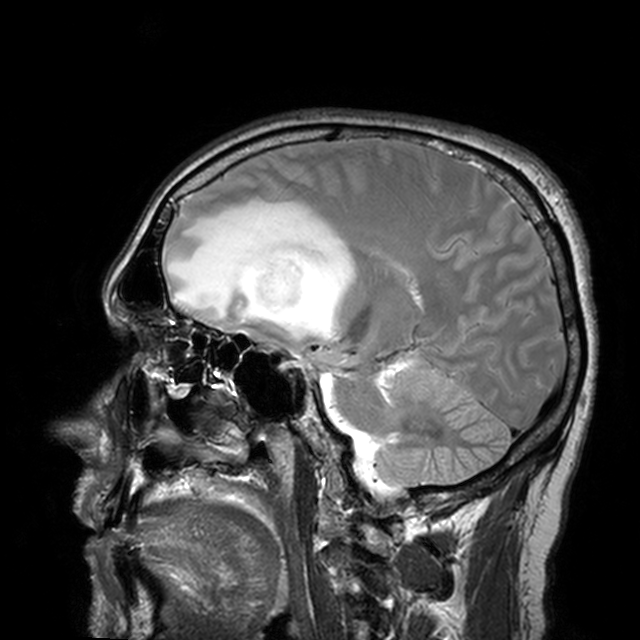
* modality — 3 Tesla brain MRI
* series — T2-weighted turbo spin echo with CLEAR
* study — ring-enhancing brain masses